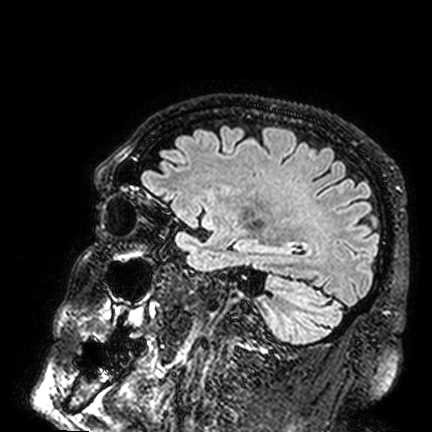
3 Tesla brain MRI. Study: ring-enhancing brain masses.